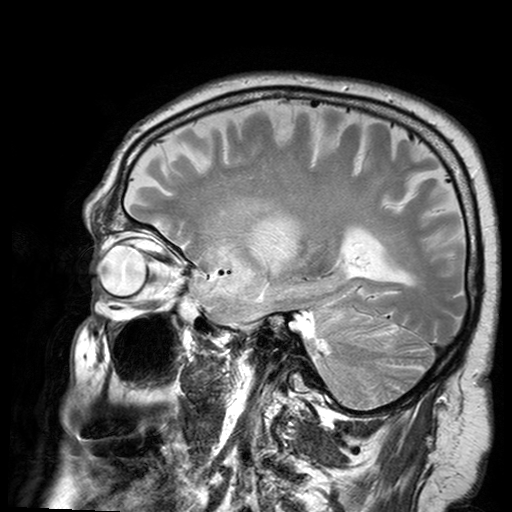
modality:
  type: brain MRI
  field_strength: 3T
series: T2-weighted turbo spin echo with SENSE
study_topic: ring-enhancing brain masses